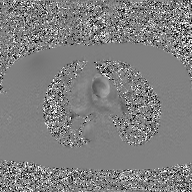
2D phase-contrast cine MRI of the ascending aorta, GAN super-resolution reconstruction.